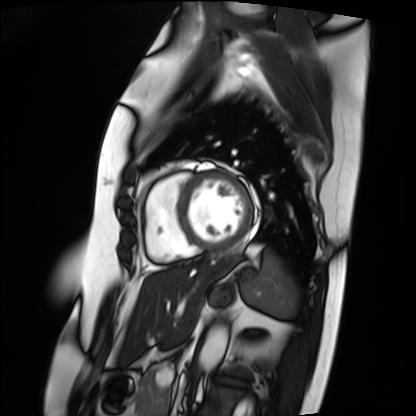
modality: cardiac MRI
cohort: patient